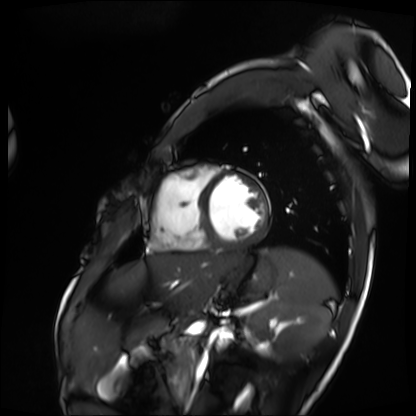
– modality: cardiac MRI
– subject group: patient